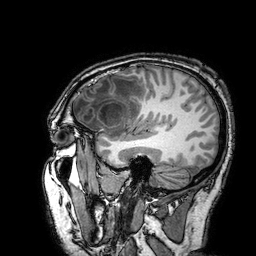
<record>
<modality>
  <type>brain MRI</type>
  <field_strength>3T</field_strength>
</modality>
<series>3D T1-weighted turbo field echo with SENSE</series>
<study_topic>ring-enhancing brain masses</study_topic>
</record>